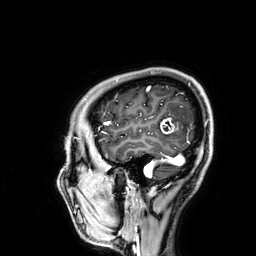
modality=3 Tesla brain MRI | study=ring-enhancing brain masses.